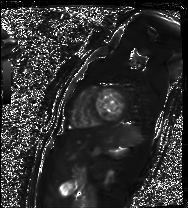
{"modality": "cardiac MR image of the myocardium", "cohort": "healthy volunteer"}